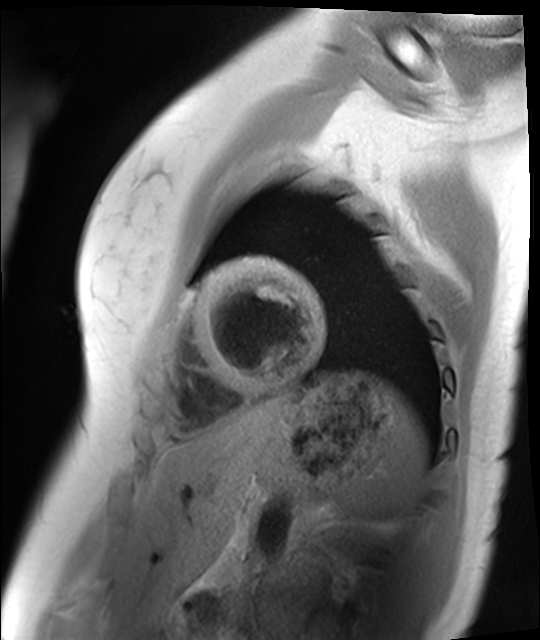
| field | value |
|---|---|
| modality | cardiac MR image of the myocardium |
| subject cohort | healthy volunteer |